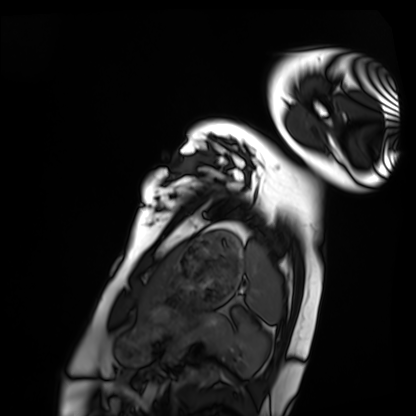
– modality — cardiac MRI
– subject group — healthy volunteer